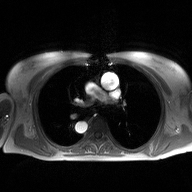
modality: 2D phase-contrast cine MRI of the ascending aorta